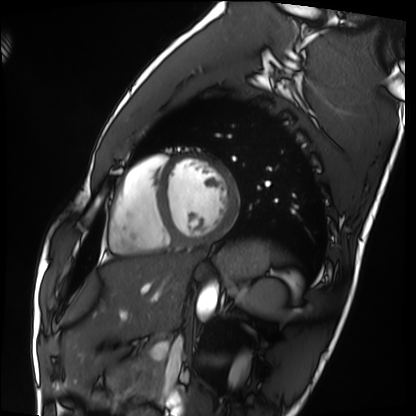
• modality: cardiac MRI
• subject group: healthy volunteer